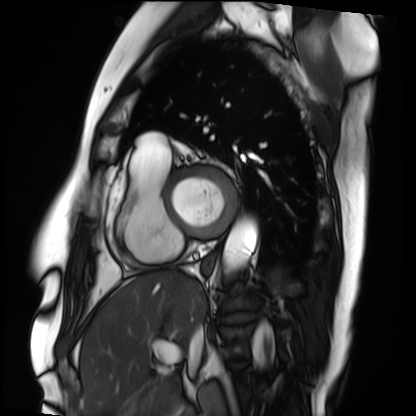
Cardiac MRI.
Subject group: patient.